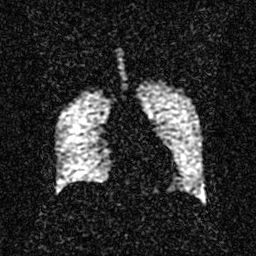
modality = hyperpolarized 129Xe ventilation MRI of the lungs, SNR level = 2 of 8 (the deposit holds this scan as its native image and as seven SNR-degraded versions).